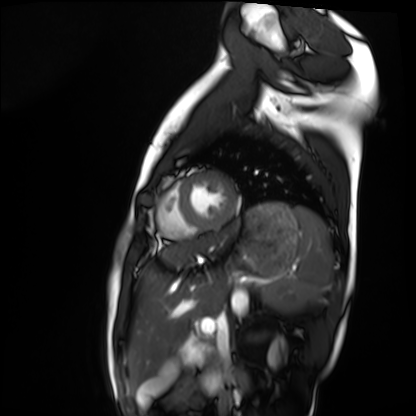
Cardiac MRI.
Subject group: healthy volunteer.